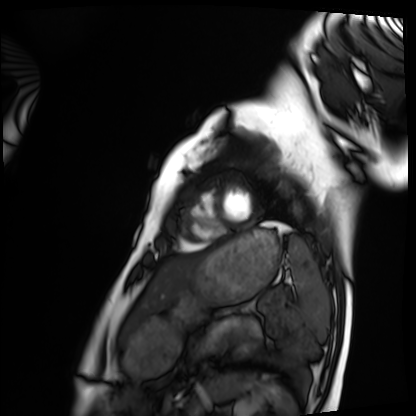
Cardiac MRI. Subject group: healthy volunteer.